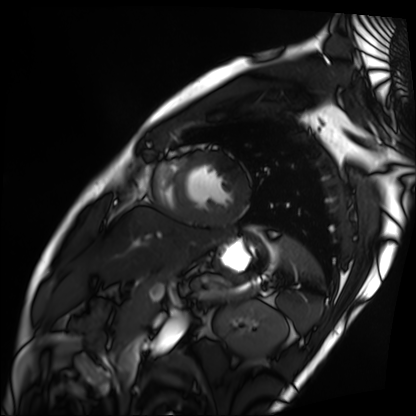
Cardiac MRI. Subject group: patient.